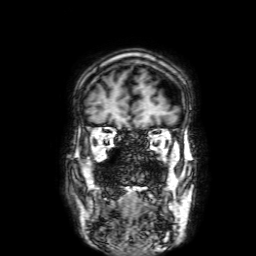
* modality: 3 Tesla brain MRI
* series: 3D T1-weighted with SENSE
* study: ring-enhancing brain masses